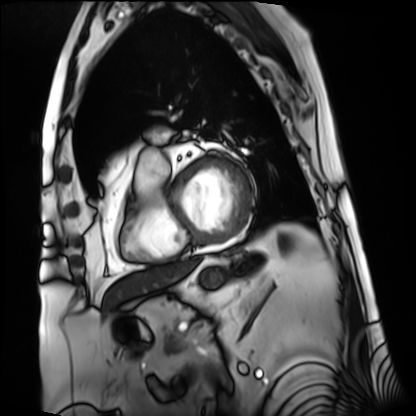
Clinical context:
Cardiac MRI. Subject group: patient.